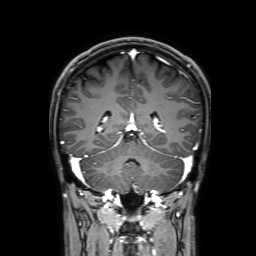
modality = 3 Tesla brain MRI
series = 3D T1-weighted with SENSE
study = ring-enhancing brain masses